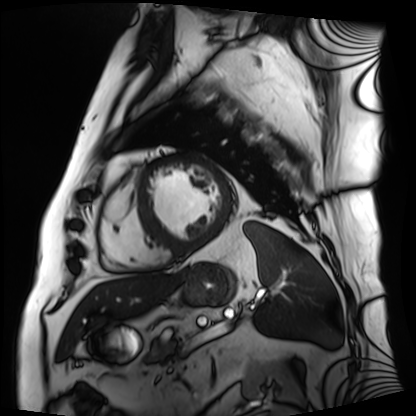
Clinical context: Cardiac MRI. Subject group: patient.